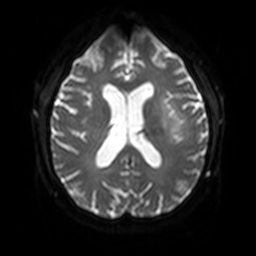
3 Tesla brain MRI. Series: diffusion-weighted imaging with SENSE (WIP). Study: ring-enhancing brain masses.